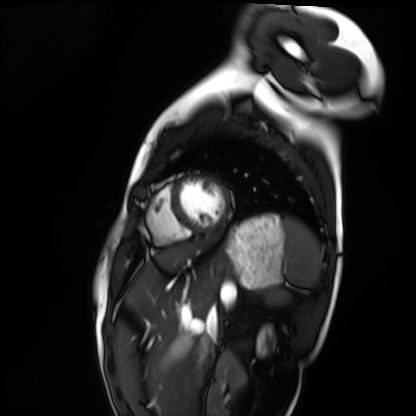
Clinical context: Cardiac MRI. Subject group: healthy volunteer.